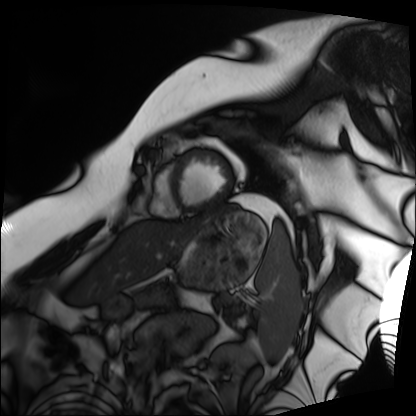
Q: What kind of scan is this?
A: Cardiac MRI.
Subject group: patient.